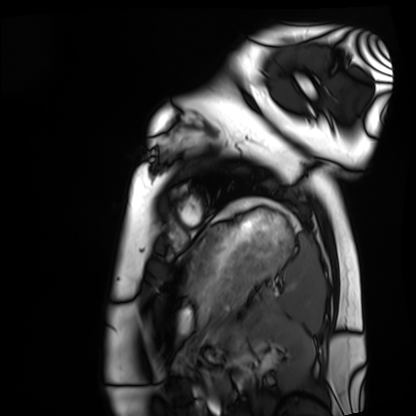
Cardiac MRI. Subject group: healthy volunteer.